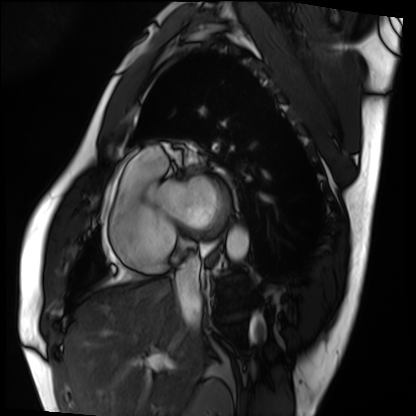
Case summary: Cardiac MRI. Subject group: patient.